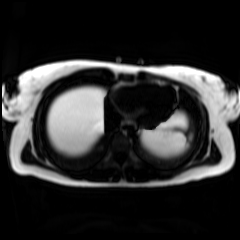
Clinical context:
Chemical-shift-encoded cardiac MRI.